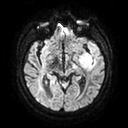
modality = 3 Tesla brain MRI; series = diffusion tensor imaging (medium iso); study = ring-enhancing brain masses.